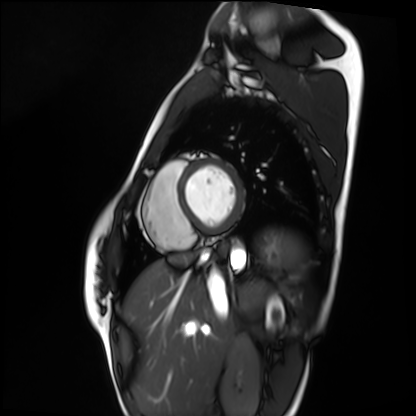
• modality: cardiac MRI
• subject group: healthy volunteer